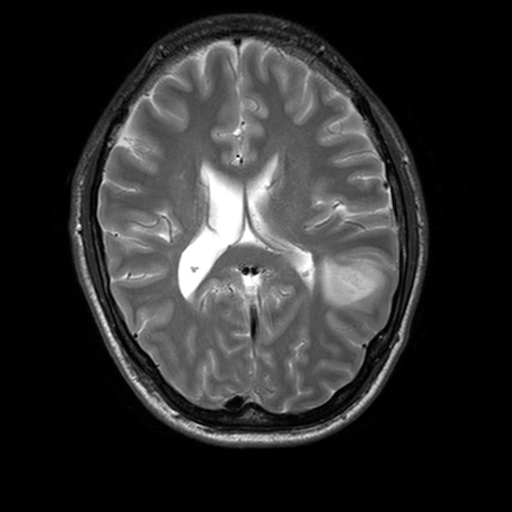
3 Tesla brain MRI.
Series: T2-weighted turbo spin echo, 3 mm.
Study: ring-enhancing brain masses.